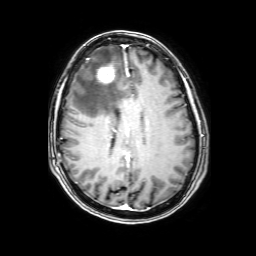
modality=3 Tesla brain MRI
series=3D T1-weighted with SENSE
study=ring-enhancing brain masses